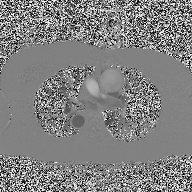
2D phase-contrast cine MRI of the ascending aorta, high-resolution GRAPPA acquisition.